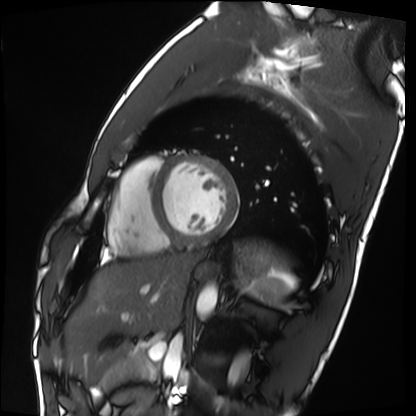
modality: cardiac MRI | subject group: healthy volunteer.